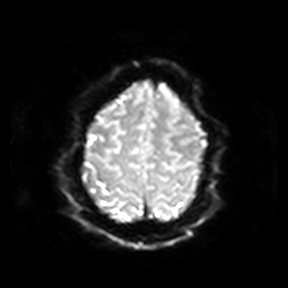
| field | value |
|---|---|
| modality | 3 Tesla brain MRI |
| series | diffusion-weighted imaging |
| study | ring-enhancing brain masses |